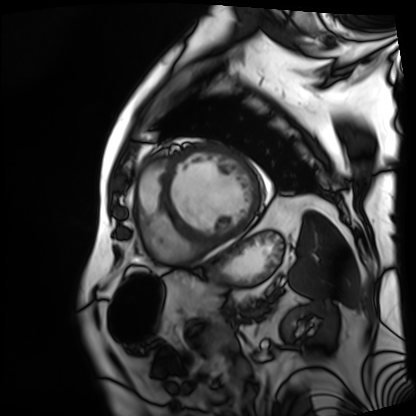
Cardiac MRI. Subject group: patient.